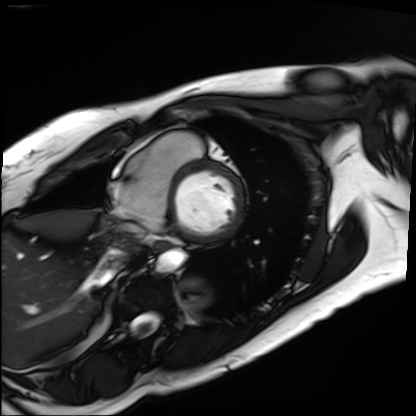
Cardiac MRI. Subject group: patient.